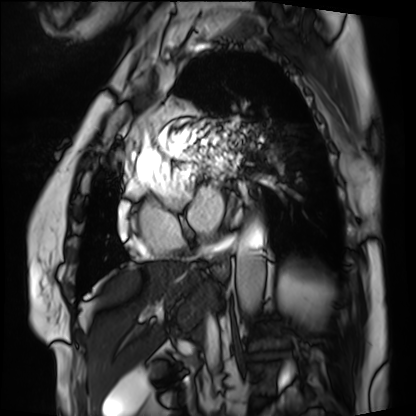
modality — cardiac MRI
subject group — patient